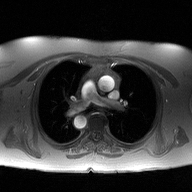
modality: 2D phase-contrast cine MRI of the ascending aorta